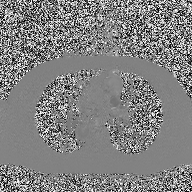
2D phase-contrast cine MRI of the ascending aorta, high-resolution GRAPPA acquisition.